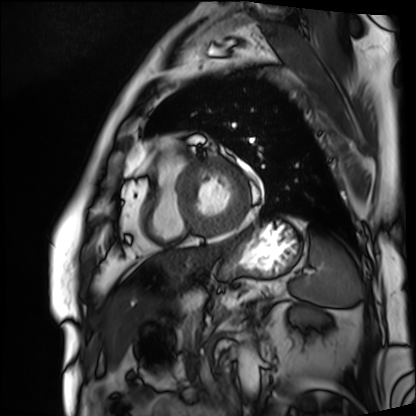
Clinical context:
Cardiac MRI. Subject group: patient.